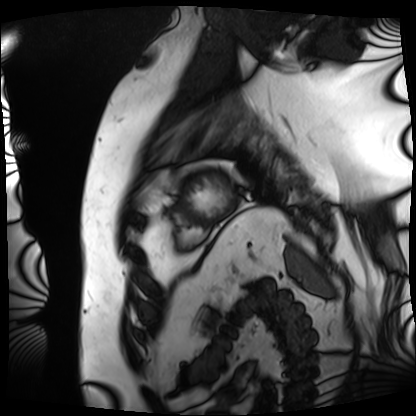
Cardiac MRI. Subject group: patient.